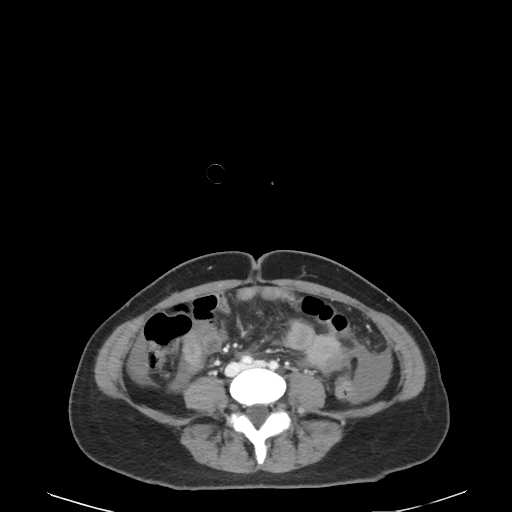
Multiphase abdominal CT, liver, delayed phase.
Patient: female, age 45.
History: cirrhosis, prior chemotherapy.